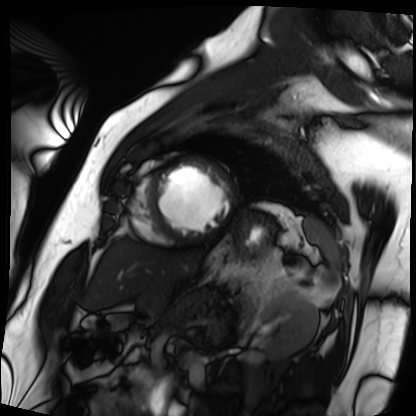
Cardiac MRI. Subject group: patient.